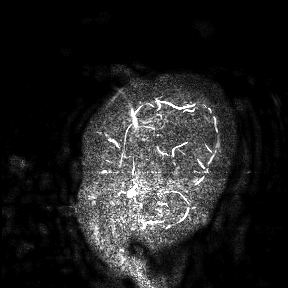
3 Tesla brain MRI.
Study: ring-enhancing brain masses.